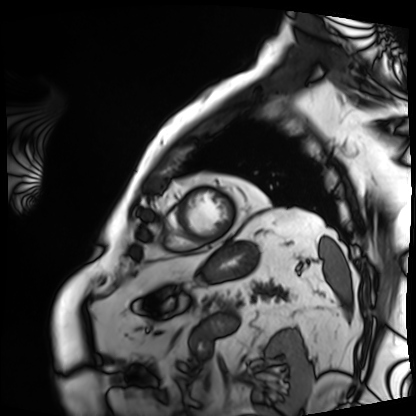
Cardiac MRI. Subject group: patient.